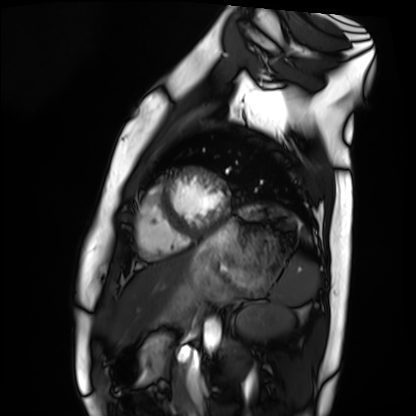
Case:
– modality · cardiac MRI
– subject group · healthy volunteer